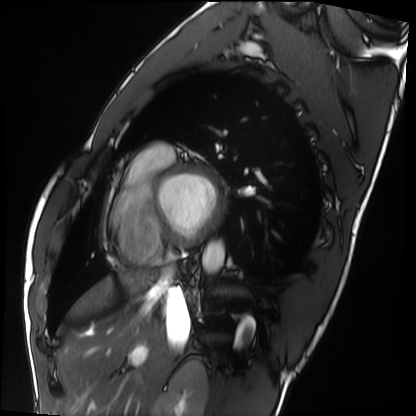
| field | value |
|---|---|
| modality | cardiac MRI |
| subject group | healthy volunteer |